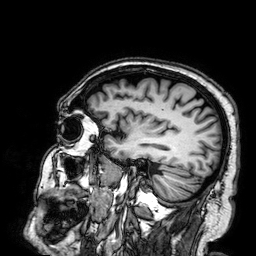
Summary:
3 Tesla brain MRI. Series: 3D T1-weighted. Study: ring-enhancing brain masses.